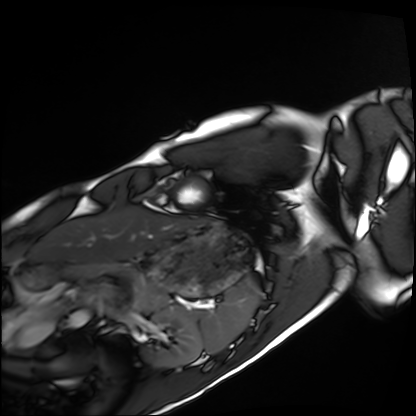
Cardiac MRI. Subject group: healthy volunteer.